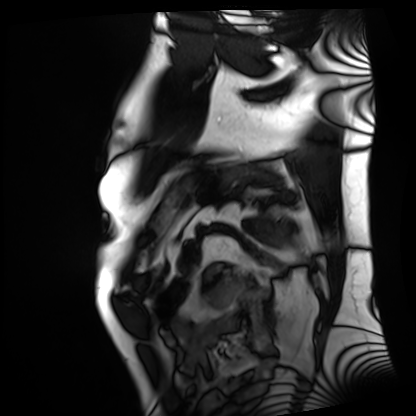
Cardiac MRI. Subject group: patient.